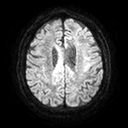
3 Tesla brain MRI. Series: diffusion tensor imaging (medium iso). Study: ring-enhancing brain masses.